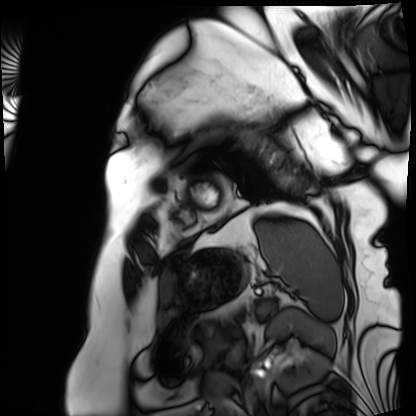
Clinical context:
Cardiac MRI. Subject group: patient.